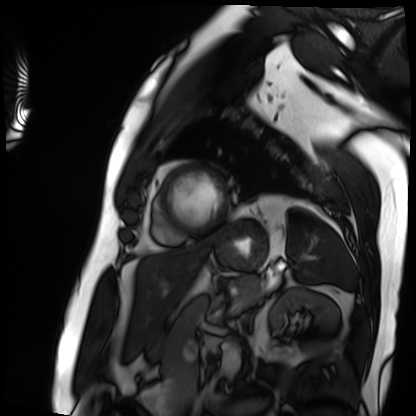
Cardiac MRI. Subject group: patient.